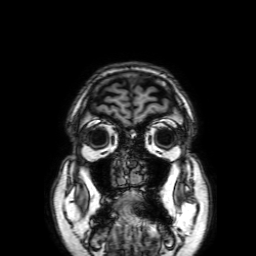
3 Tesla brain MRI.
Study: ring-enhancing brain masses.